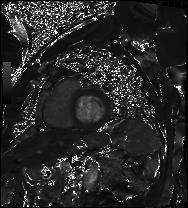
Cardiac MRI. Subject group: patient.